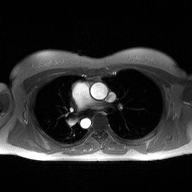
| field | value |
|---|---|
| modality | 2D phase-contrast cine MRI of the ascending aorta |